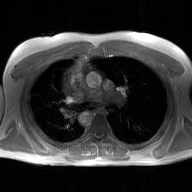
| field | value |
|---|---|
| modality | 2D phase-contrast cine MRI of the ascending aorta, GAN super-resolution reconstruction |